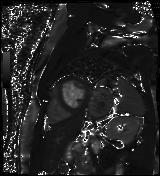
Summary: Cardiac MR image of the myocardium. Subject cohort: cardiac patient.